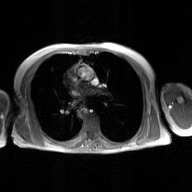
| field | value |
|---|---|
| modality | 2D phase-contrast cine MRI of the ascending aorta, GAN super-resolution reconstruction |